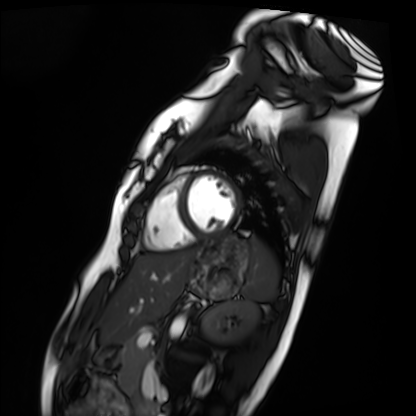
Cardiac MRI. Subject group: healthy volunteer.